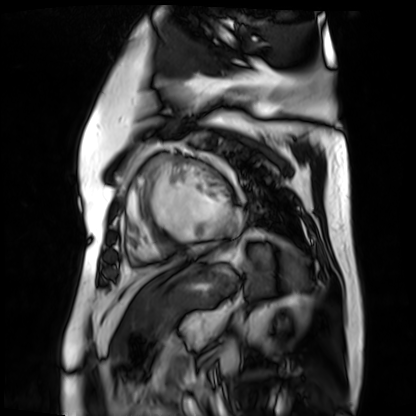
modality: cardiac MR image of the myocardium
subject cohort: cardiac patient